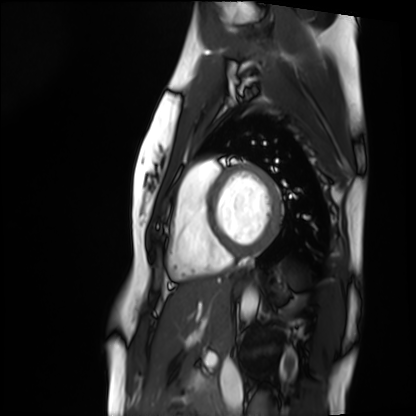
Case:
– modality — cardiac MRI
– subject group — healthy volunteer